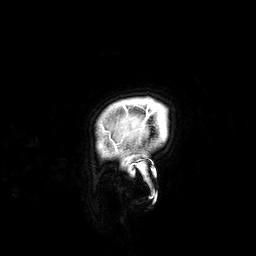
| field | value |
|---|---|
| modality | 3 Tesla brain MRI |
| series | 3D T1-weighted |
| study | ring-enhancing brain masses |